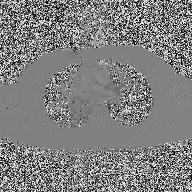
2D phase-contrast cine MRI of the ascending aorta, high-resolution GRAPPA acquisition.